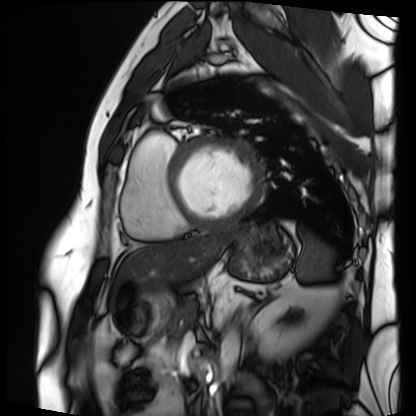
Cardiac MRI. Subject group: patient.